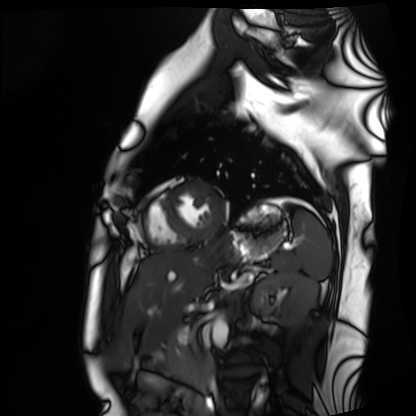
Cardiac MRI. Subject group: healthy volunteer.